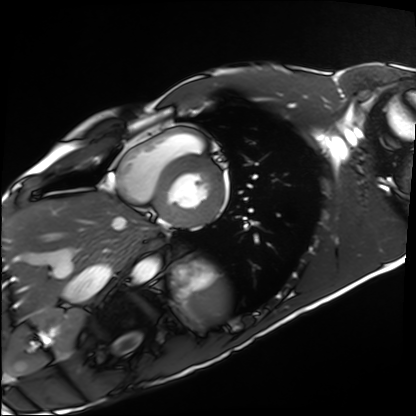
Clinical context: Cardiac MRI. Subject group: healthy volunteer.